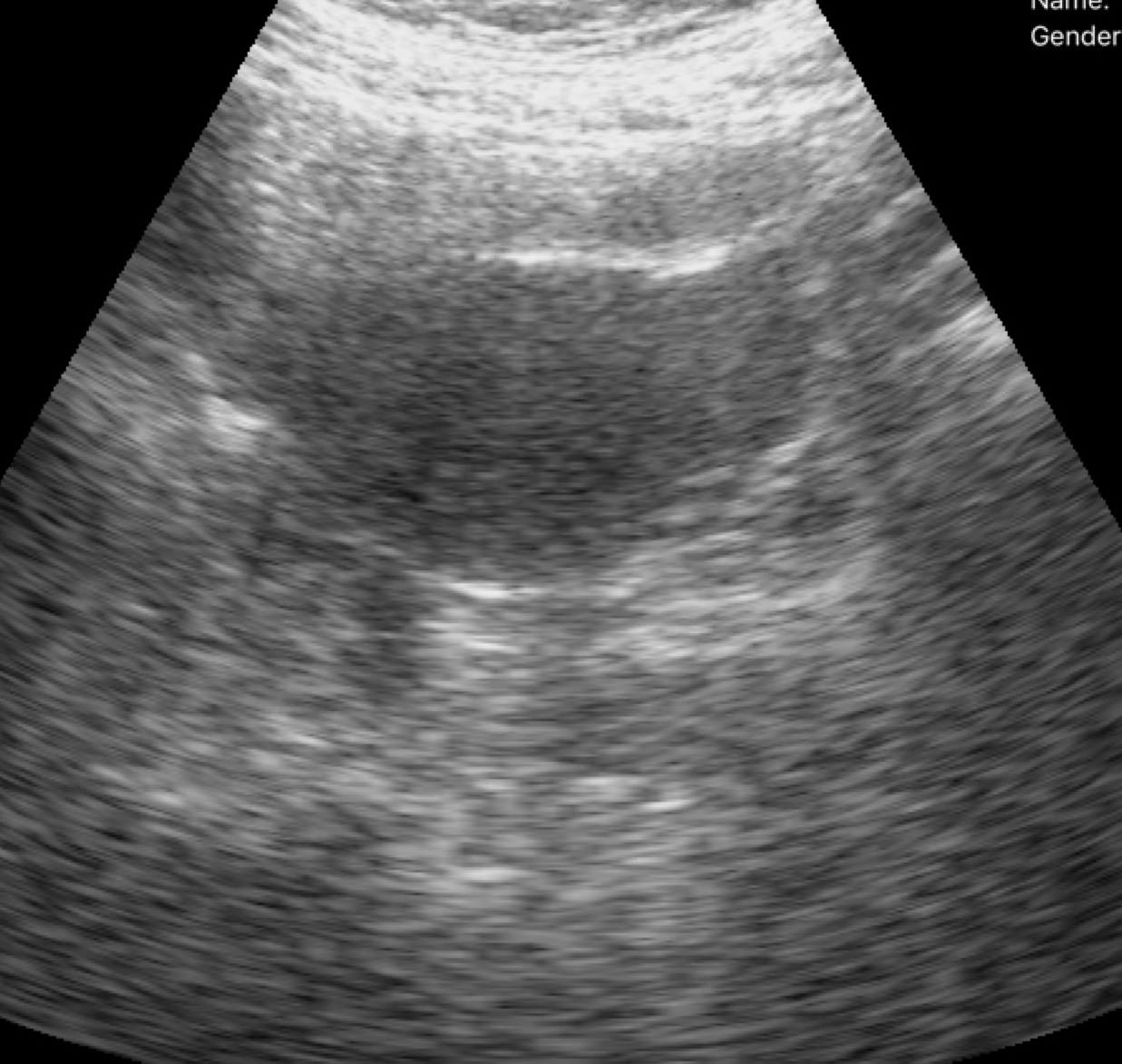
{"modality": {"type": "genitourinary ultrasound"}}